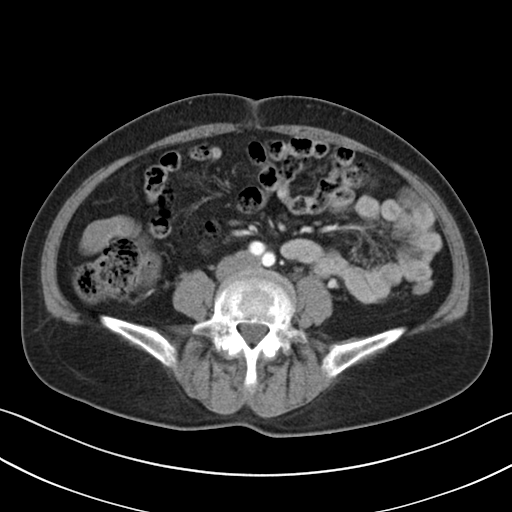
  modality:
    type: multiphase abdominal CT
    region: liver
    phase: arterial